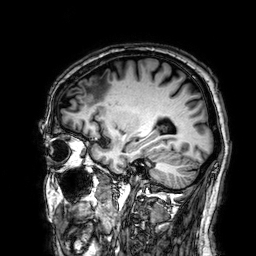
{
  "modality": {
    "type": "brain MRI",
    "field_strength": "3T"
  },
  "series": "3D T1-weighted",
  "study_topic": "ring-enhancing brain masses"
}